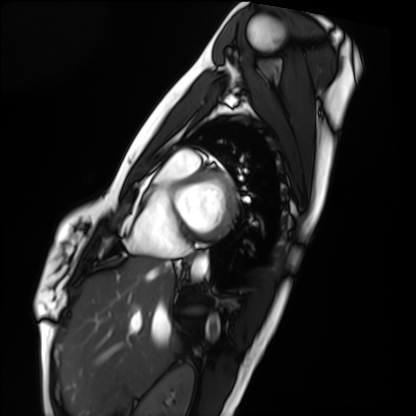
modality: cardiac MRI
subject group: healthy volunteer